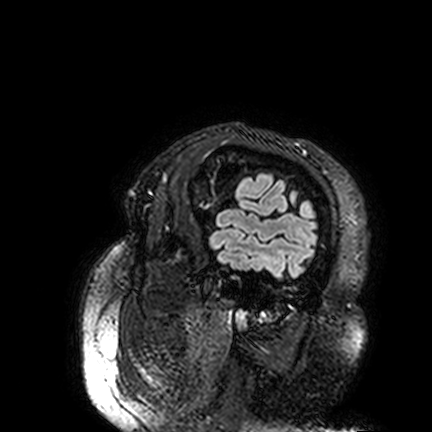
modality: 3 Tesla brain MRI; series: FLAIR VISTA; study: ring-enhancing brain masses.